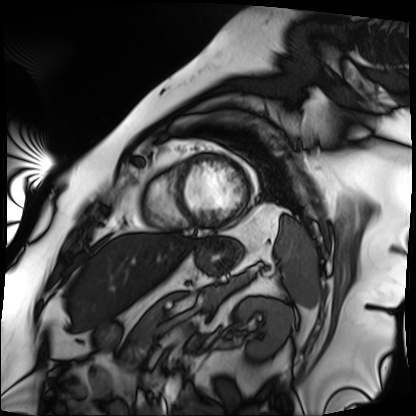
modality: cardiac MRI
subject group: patient